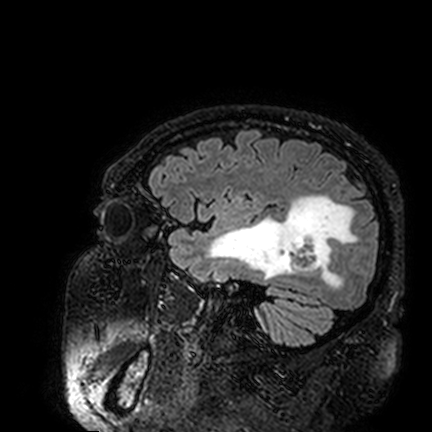
3 Tesla brain MRI. Series: FLAIR VISTA. Study: ring-enhancing brain masses.